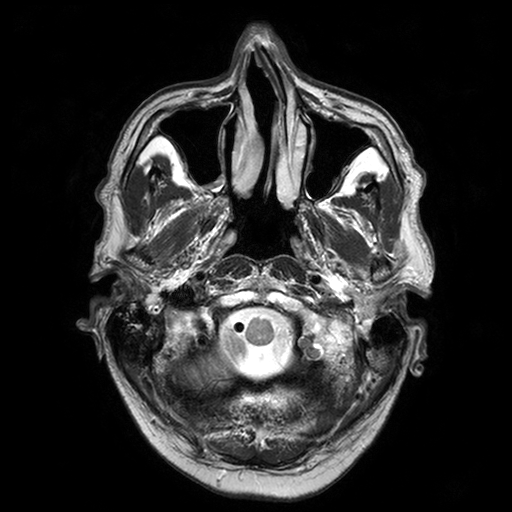
Summary:
3 Tesla brain MRI. Series: T2-weighted turbo spin echo with SENSE. Study: ring-enhancing brain masses.